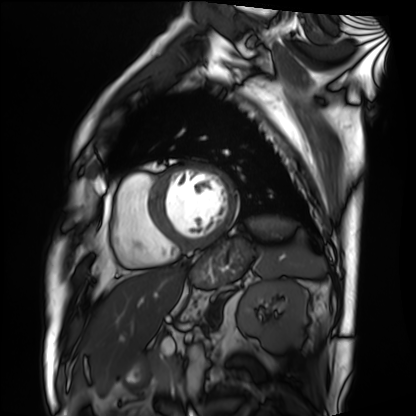
Summary:
Cardiac MRI. Subject group: patient.